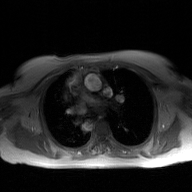
Case:
* modality · 2D phase-contrast cine MRI of the ascending aorta, GAN super-resolution reconstruction